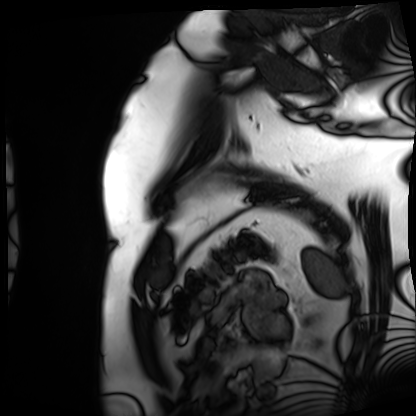
modality: cardiac MRI
cohort: patient